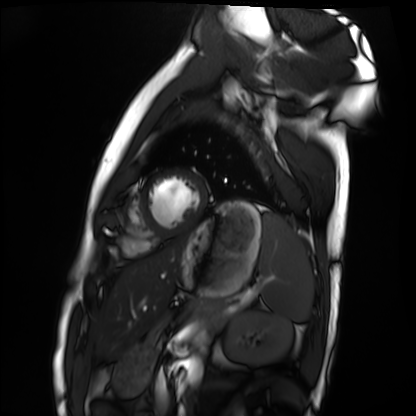
Cardiac MRI. Subject group: healthy volunteer.